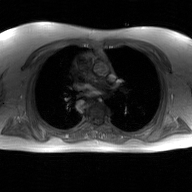
2D phase-contrast cine MRI of the ascending aorta, GAN super-resolution reconstruction.